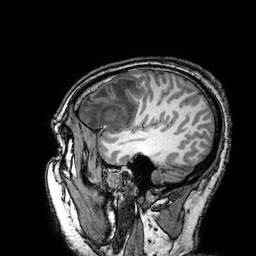
Clinical context: 3 Tesla brain MRI. Series: 3D T1-weighted turbo field echo with SENSE. Study: ring-enhancing brain masses.